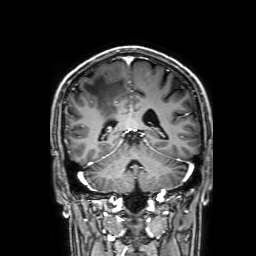
{"modality": {"type": "brain MRI", "field_strength": "3T"}, "series": "3D T1-weighted with SENSE", "study_topic": "ring-enhancing brain masses"}